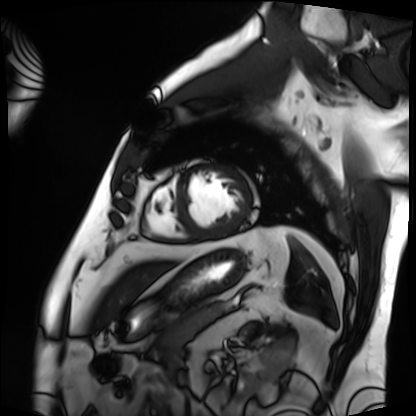
modality=cardiac MRI; subject group=patient.